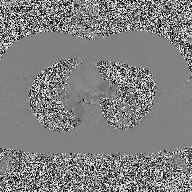
2D phase-contrast cine MRI of the ascending aorta, high-resolution GRAPPA acquisition.